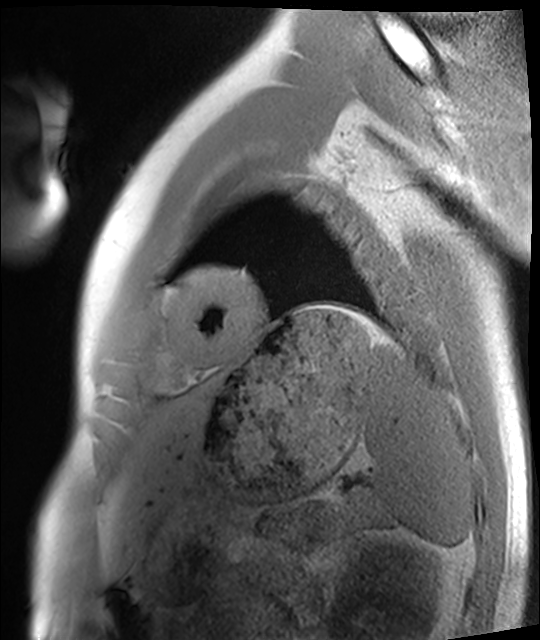
Summary:
Cardiac MRI. Subject group: healthy volunteer.